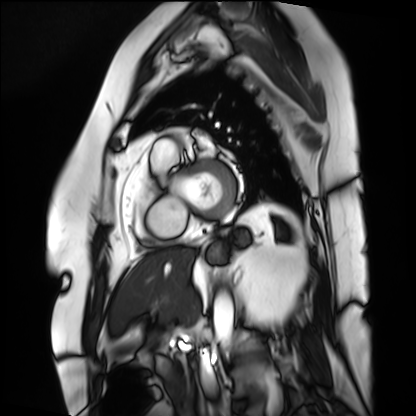
Summary: Cardiac MRI. Subject group: patient.